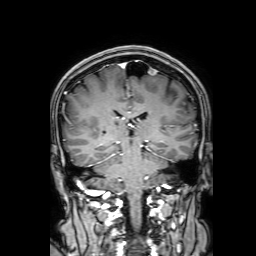
modality: 3 Tesla brain MRI
series: 3D T1-weighted with SENSE
study: ring-enhancing brain masses